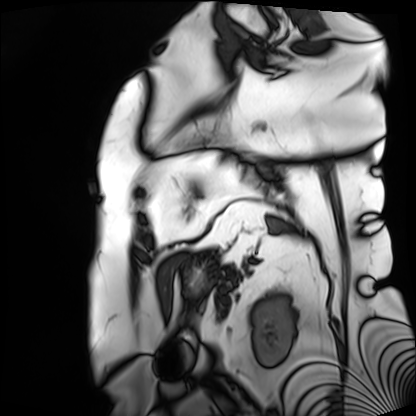
Cardiac MRI. Subject group: patient.